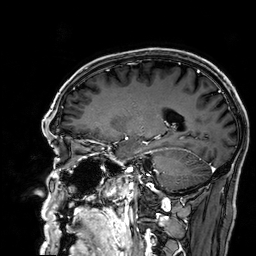
modality: 3 Tesla brain MRI; series: 3D T1-weighted; study: ring-enhancing brain masses.